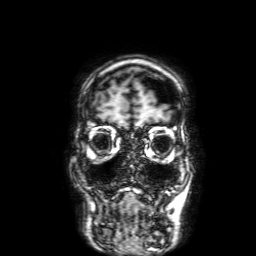
modality = 3 Tesla brain MRI; series = 3D T1-weighted with SENSE; study = ring-enhancing brain masses.